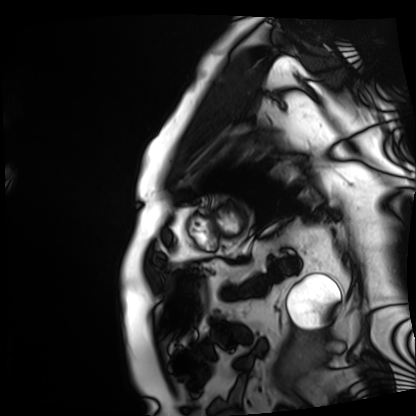
Cardiac MRI. Subject group: patient.